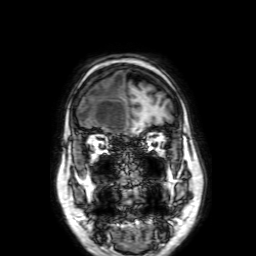
Case summary: 3 Tesla brain MRI. Series: 3D T1-weighted with SENSE. Study: ring-enhancing brain masses.